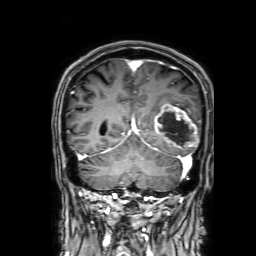
modality — 3 Tesla brain MRI | series — 3D T1-weighted with SENSE | study — ring-enhancing brain masses.